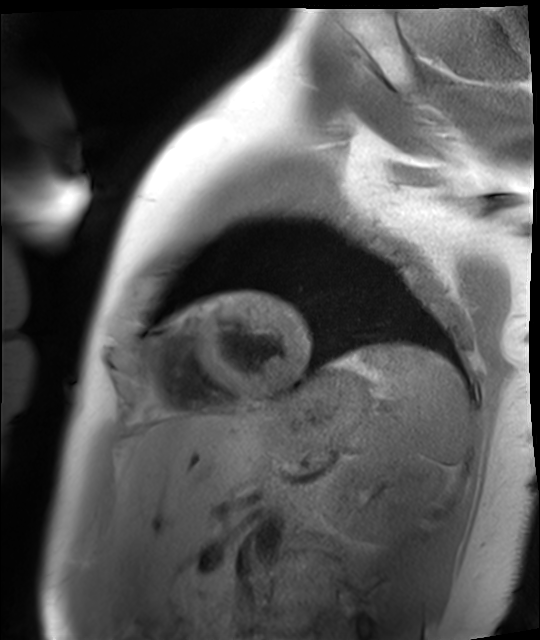
Case:
- modality: cardiac MR image of the myocardium
- subject cohort: healthy volunteer